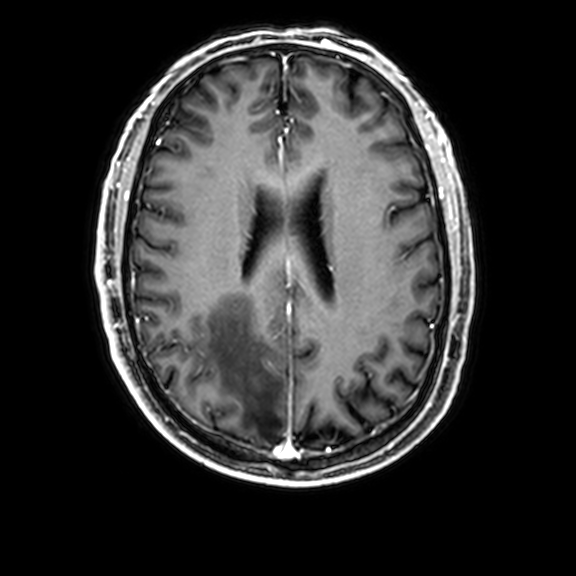
{
  "modality": {
    "type": "brain MRI",
    "field_strength": "3T"
  },
  "series": "3D T1-weighted with CLEAR",
  "study_topic": "ring-enhancing brain masses"
}